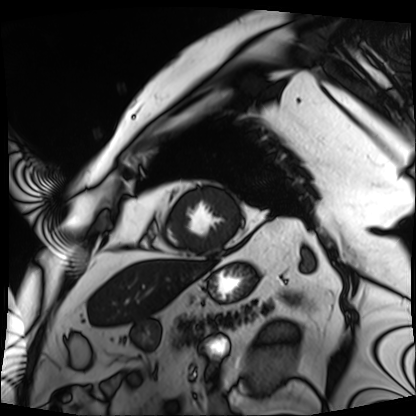
Clinical context:
Cardiac MRI. Subject group: patient.